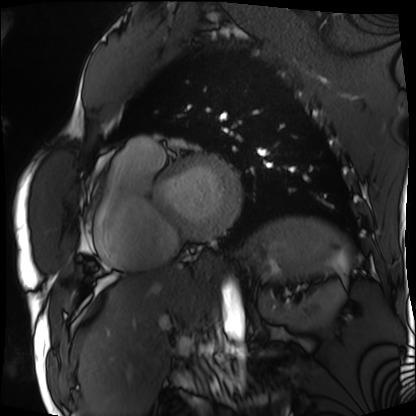
Cardiac MRI. Subject group: patient.